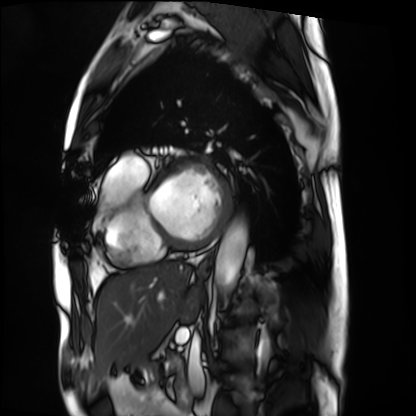
{"modality": "cardiac MRI", "cohort": "patient"}